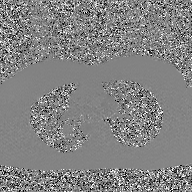
2D phase-contrast cine MRI of the ascending aorta, GAN super-resolution reconstruction.